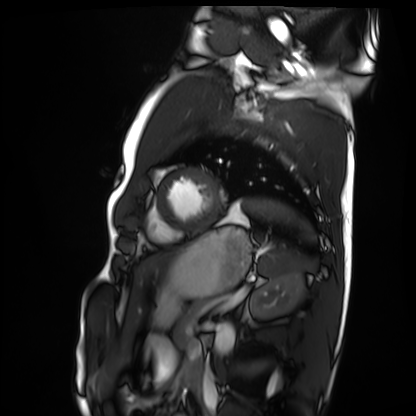
<case>
<modality>cardiac MRI</modality>
<cohort>healthy volunteer</cohort>
</case>